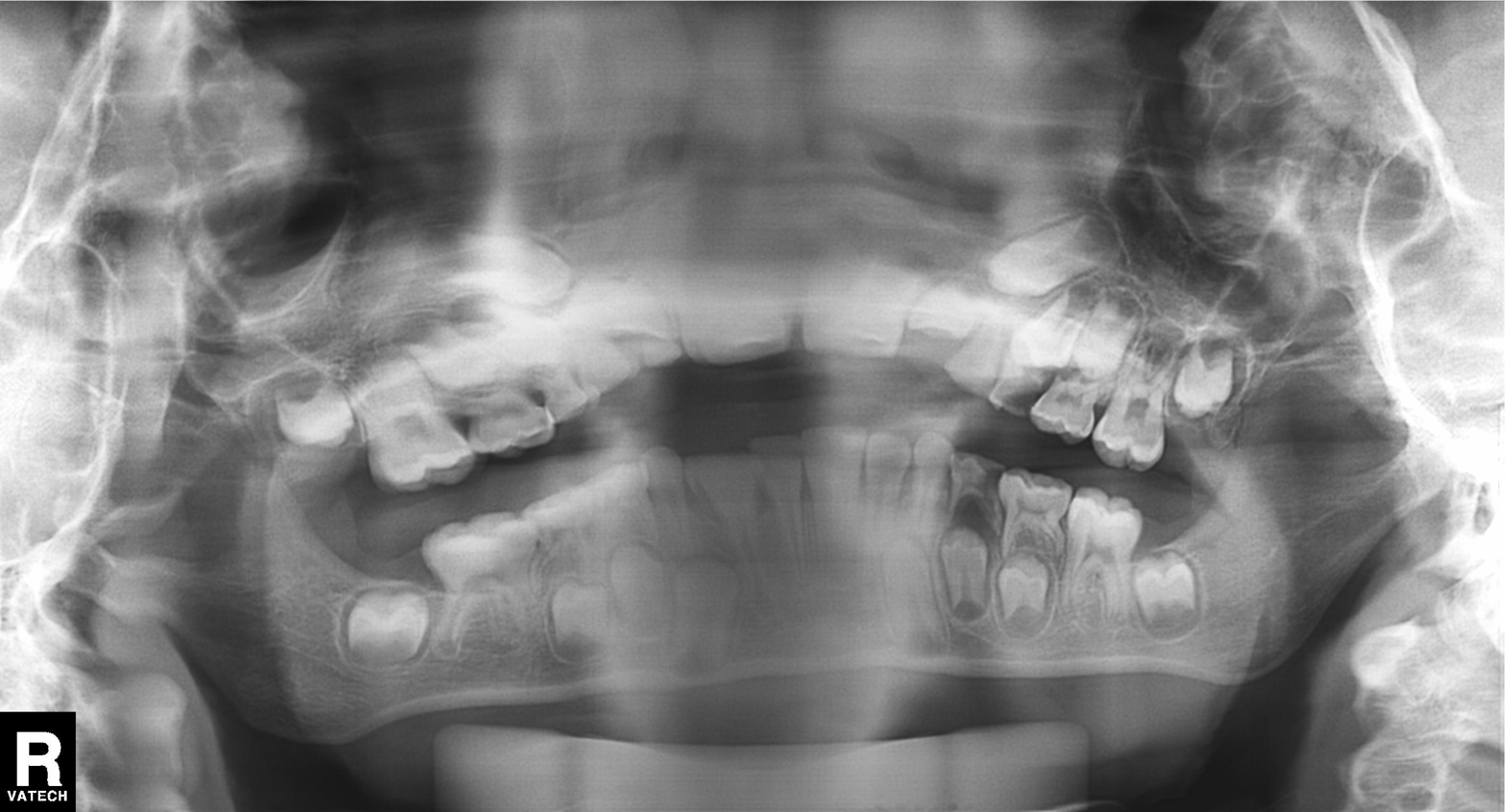
Panoramic dental radiograph (orthopantomogram). Finding: tooth impaction.